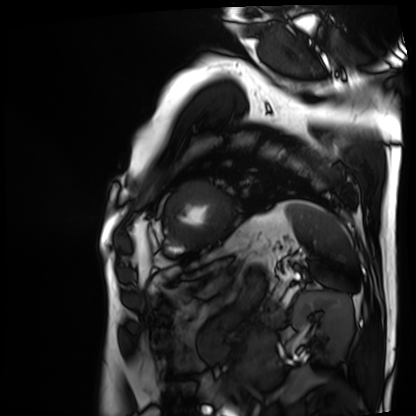
modality = cardiac MRI, subject group = patient.